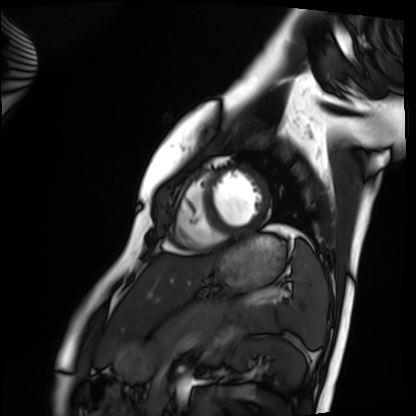
Q: What kind of scan is this?
A: Cardiac MRI.
Subject group: healthy volunteer.